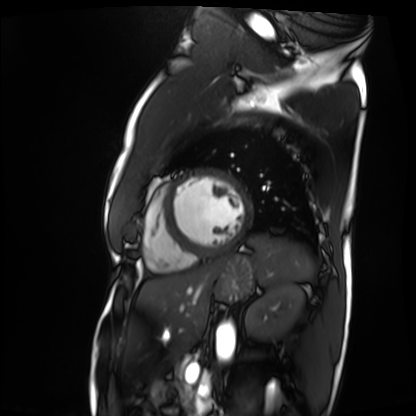
Q: What kind of scan is this?
A: Cardiac MRI.
Subject group: patient.